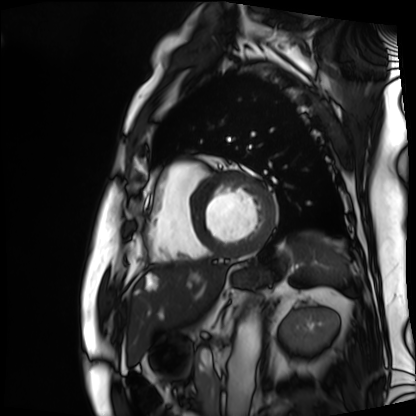
<record>
<modality>cardiac MRI</modality>
<cohort>patient</cohort>
</record>